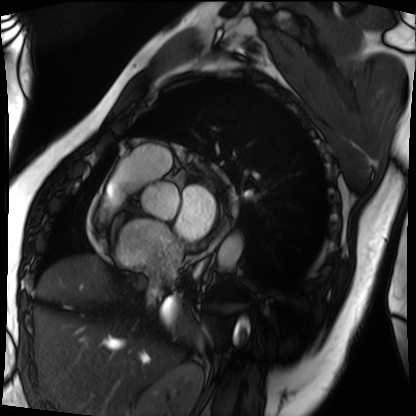
modality: cardiac MRI | subject group: patient.